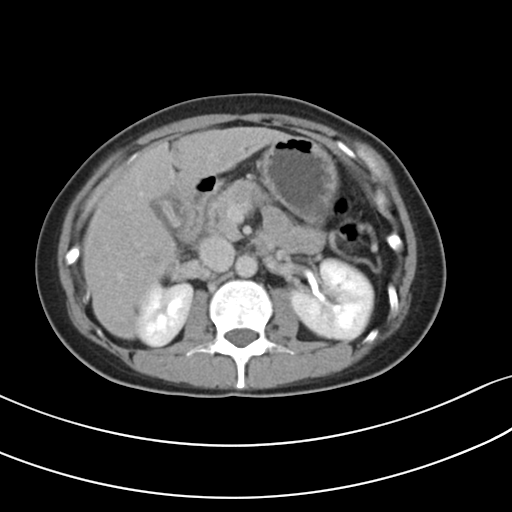
modality: multiphase abdominal CT, liver, delayed phase | patient: female, age 38 | history: prior chemotherapy.